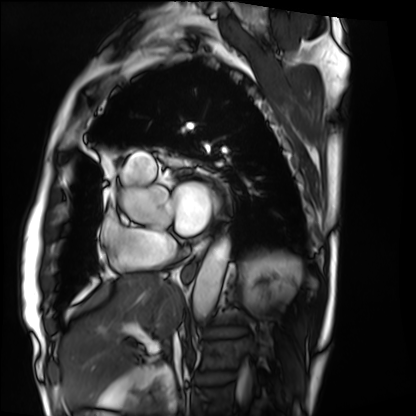
Cardiac MRI.
Subject group: patient.